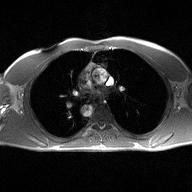
2D phase-contrast cine MRI of the ascending aorta, high-resolution GRAPPA acquisition.